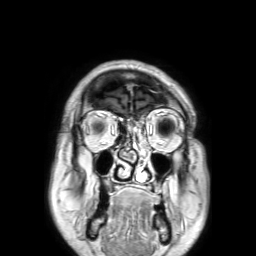
| field | value |
|---|---|
| modality | 3 Tesla brain MRI |
| series | 3D T1-weighted TFE with SENSE |
| study | ring-enhancing brain masses |